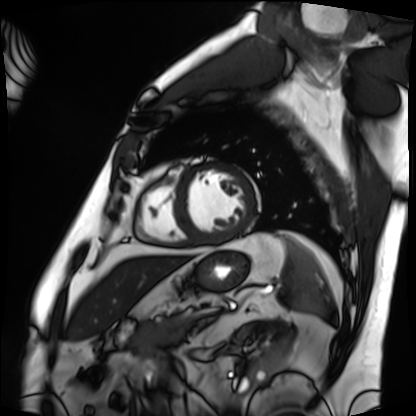
modality: cardiac MRI | subject group: patient.